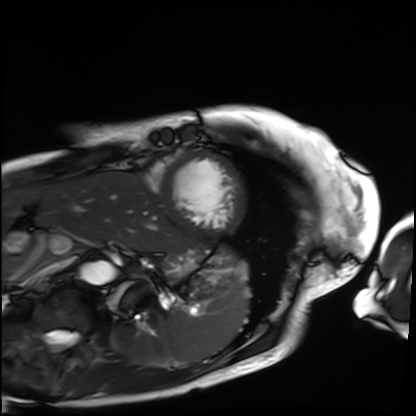
Cardiac MRI.
Subject group: patient.